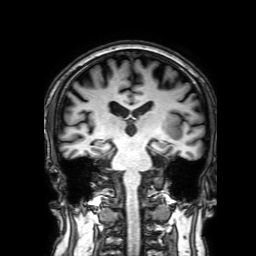
Q: What kind of scan is this?
A: 3 Tesla brain MRI.
Q: Series?
A: 3D T1-weighted with SENSE.
Study: ring-enhancing brain masses.